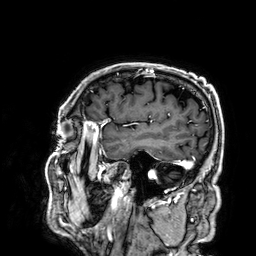
modality: 3 Tesla brain MRI
series: 3D T1-weighted
study: ring-enhancing brain masses